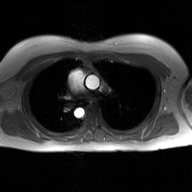
2D phase-contrast cine MRI of the ascending aorta, GAN super-resolution reconstruction.